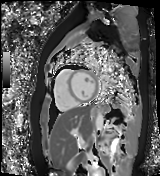
Cardiac MR image of the myocardium.
Subject cohort: healthy volunteer.